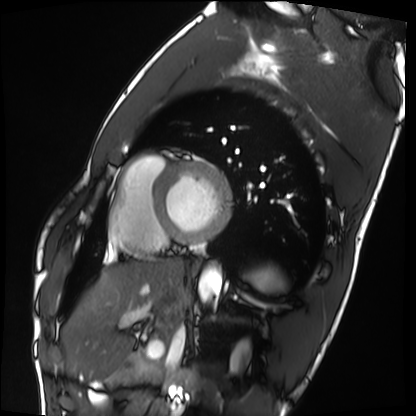
Cardiac MRI.
Subject group: healthy volunteer.